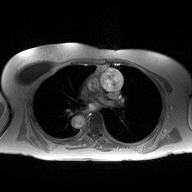
Summary: 2D phase-contrast cine MRI of the ascending aorta, high-resolution GRAPPA acquisition.